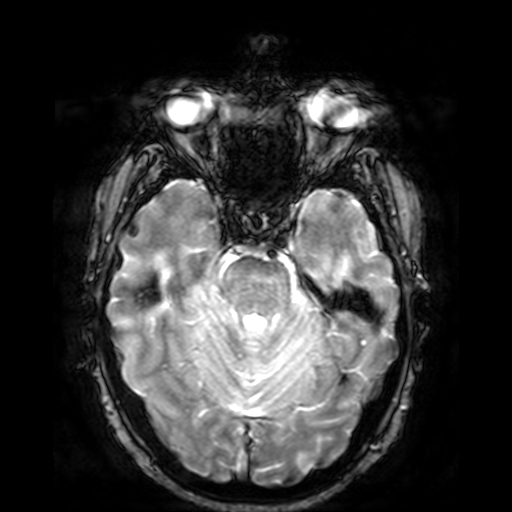
Q: What kind of scan is this?
A: 3 Tesla brain MRI.
Q: Series?
A: T2-weighted fast field echo.
Study: ring-enhancing brain masses.